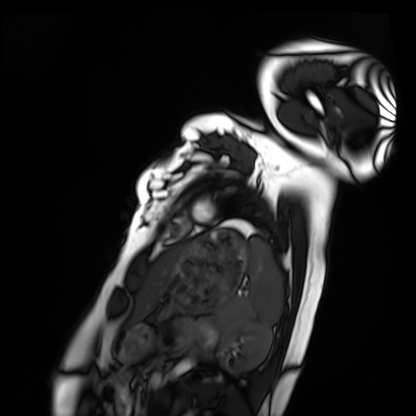
Case:
• modality — cardiac MRI
• subject group — healthy volunteer